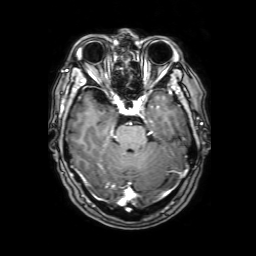
3 Tesla brain MRI.
Series: 3D T1-weighted with SENSE.
Study: ring-enhancing brain masses.